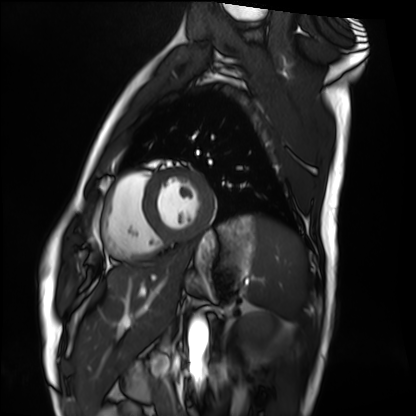
modality=cardiac MRI; subject group=healthy volunteer.